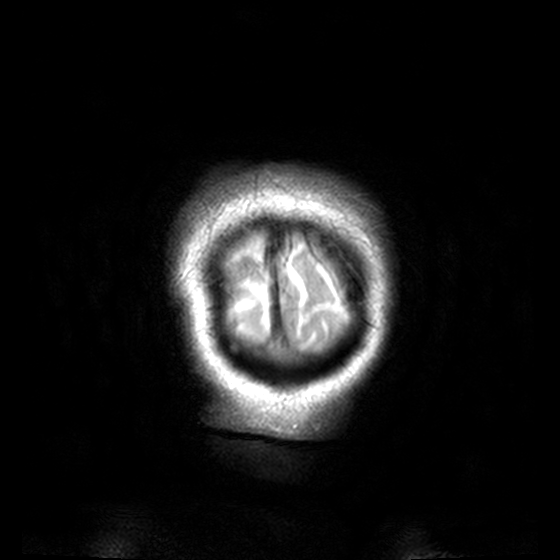
Summary: 3 Tesla brain MRI. Series: T2-weighted turbo spin echo, 3 mm. Study: ring-enhancing brain masses.